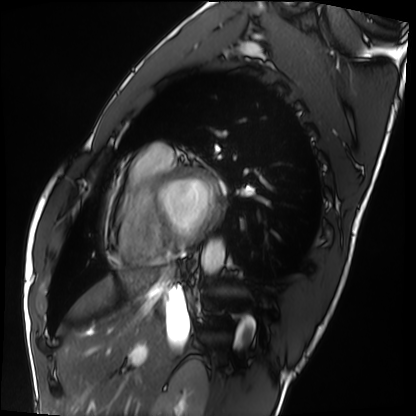
Summary:
Cardiac MRI. Subject group: healthy volunteer.